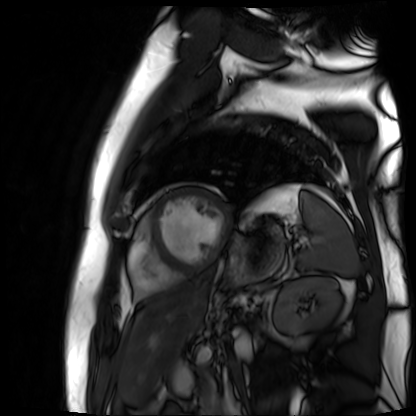
Clinical context:
Cardiac MR image of the myocardium. Subject cohort: cardiac patient.